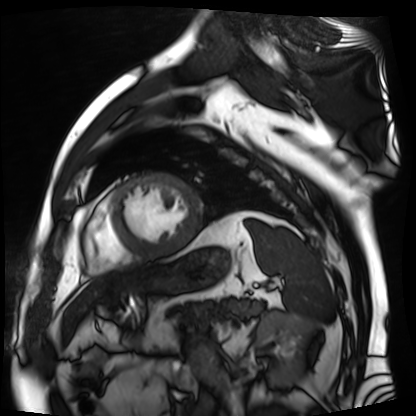
Cardiac MR image of the myocardium. Subject cohort: cardiac patient.